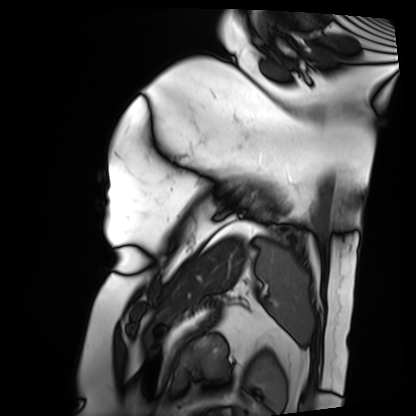
Summary: Cardiac MRI. Subject group: patient.